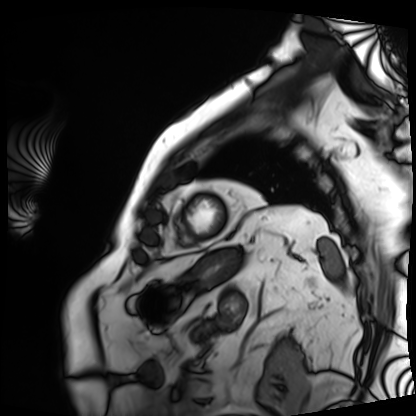
Case summary: Cardiac MRI. Subject group: patient.